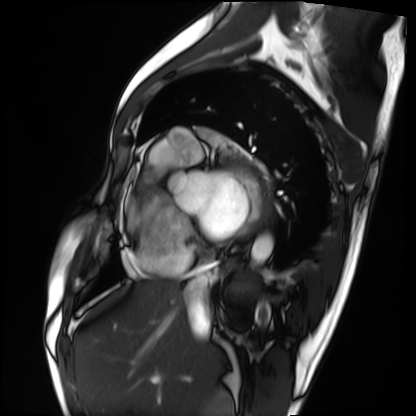
modality=cardiac MRI
subject group=patient